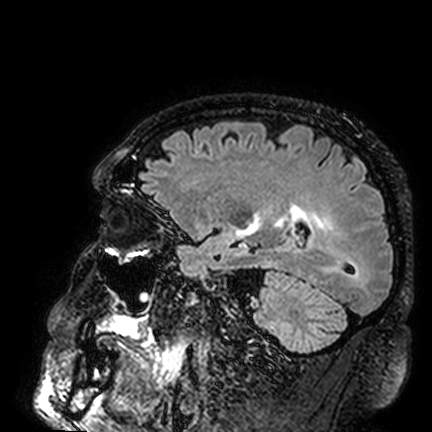
* modality — 3 Tesla brain MRI
* series — FLAIR VISTA
* study — ring-enhancing brain masses